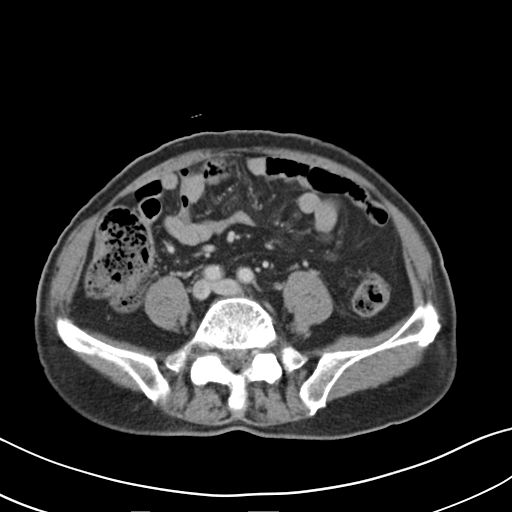
Summary:
Multiphase abdominal CT, liver, delayed phase. Patient: male, age 75. History: prior chemotherapy.